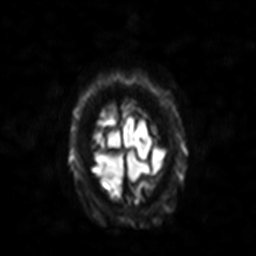
modality = 3 Tesla brain MRI | series = diffusion-weighted imaging with SENSE (WIP) | study = ring-enhancing brain masses.